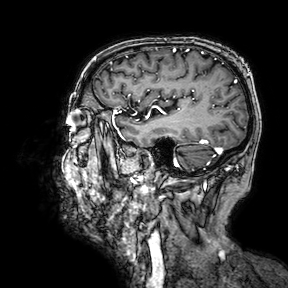
3 Tesla brain MRI. Series: 3D T1-weighted turbo field echo with SENSE. Study: ring-enhancing brain masses.